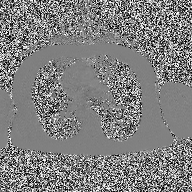
  modality:
    type: 2D phase-contrast cine MRI
    region: ascending aorta
    reconstruction: high-resolution GRAPPA acquisition